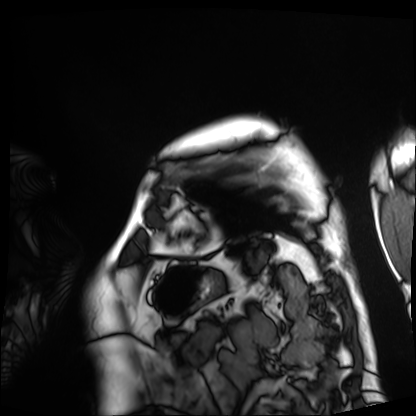
Cardiac MRI.
Subject group: patient.